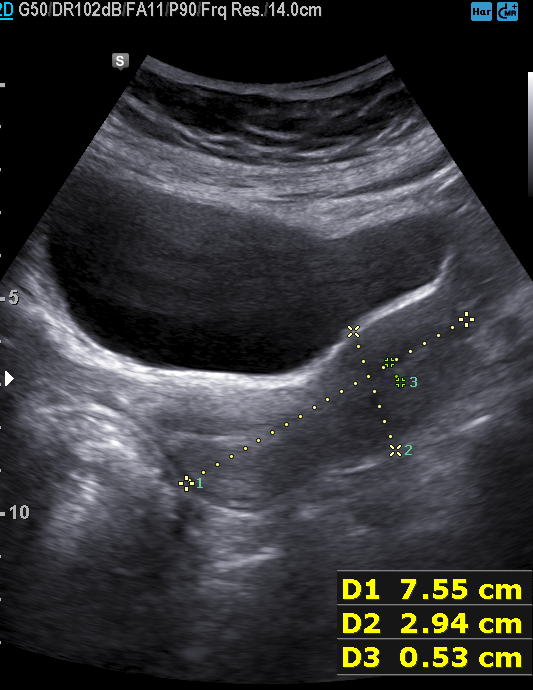
{"modality": {"type": "genitourinary ultrasound"}}